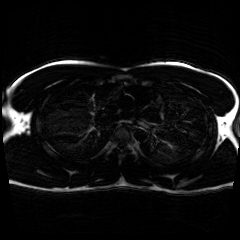
Chemical-shift-encoded cardiac MRI.